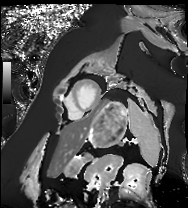
Cardiac MRI. Subject group: patient.